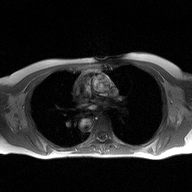
Case:
• modality: 2D phase-contrast cine MRI of the ascending aorta